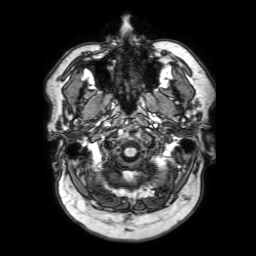
{"modality": {"type": "brain MRI", "field_strength": "3T"}, "series": "3D T1-weighted with SENSE", "study_topic": "ring-enhancing brain masses"}